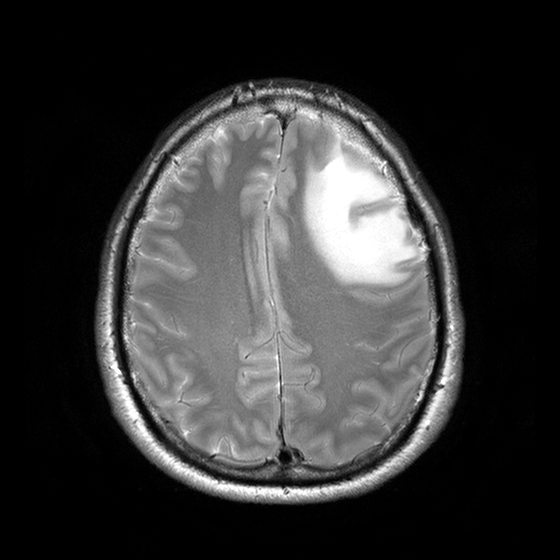
3 Tesla brain MRI.
Series: T2-weighted turbo spin echo with CLEAR.
Study: ring-enhancing brain masses.